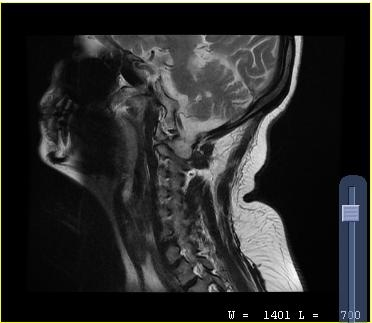
modality=MRI of the cervical spine | study=cervical spondylosis.